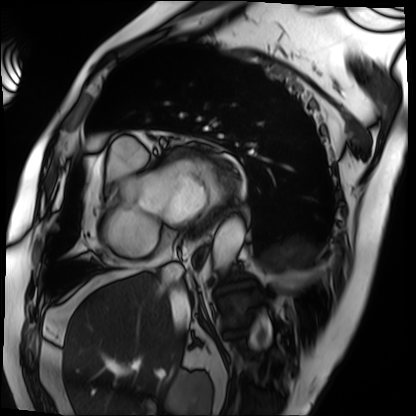
modality — cardiac MRI | subject group — patient.